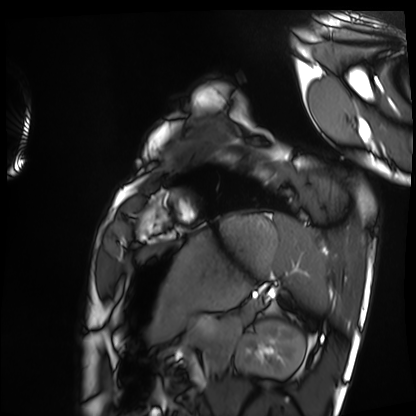
modality: cardiac MRI, subject group: healthy volunteer.